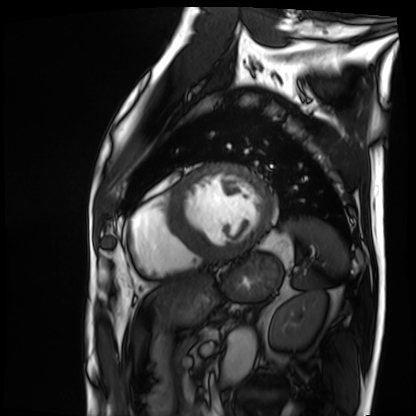
modality: cardiac MRI | subject group: patient.